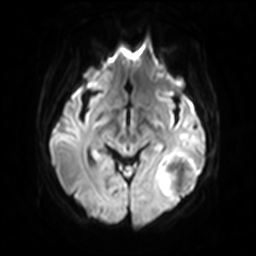
modality — 3 Tesla brain MRI; series — diffusion-weighted imaging with SENSE (WIP); study — ring-enhancing brain masses.